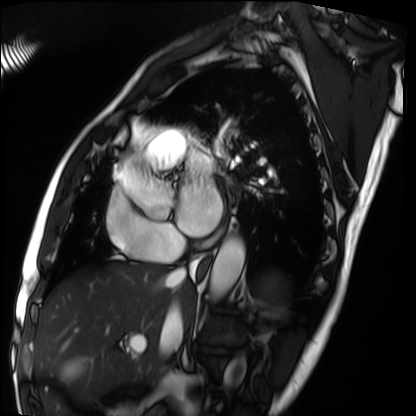
modality: cardiac MRI
subject group: patient